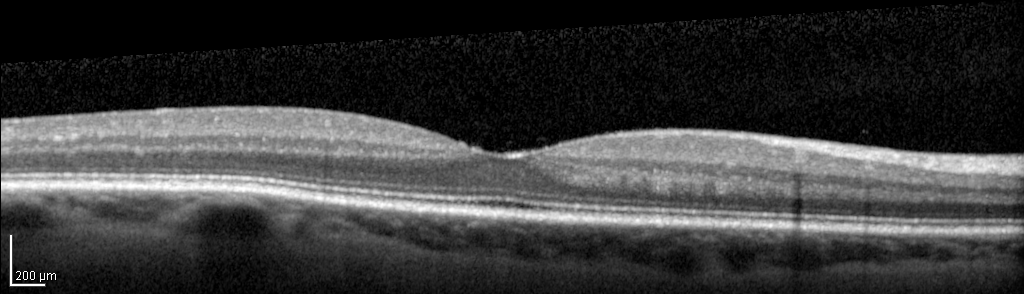
modality: spectral-domain optical coherence tomography (SD-OCT) of the macula; subject: female, age 62, right eye; cohort: non-diabetic control.